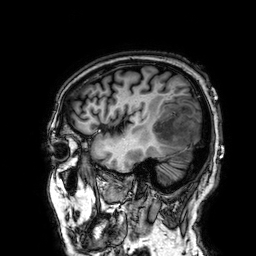
3 Tesla brain MRI. Series: 3D T1-weighted. Study: ring-enhancing brain masses.